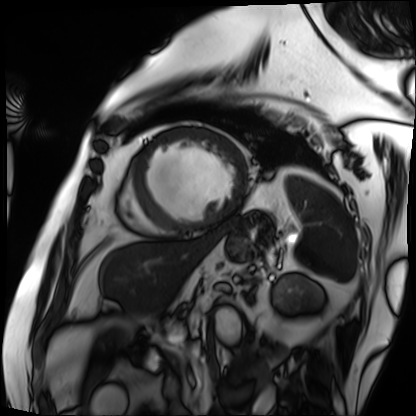
| field | value |
|---|---|
| modality | cardiac MRI |
| subject group | patient |